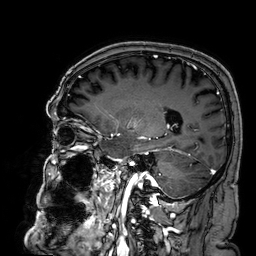
3 Tesla brain MRI. Series: 3D T1-weighted. Study: ring-enhancing brain masses.